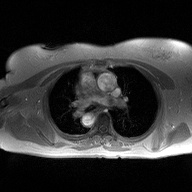
| field | value |
|---|---|
| modality | 2D phase-contrast cine MRI of the ascending aorta |